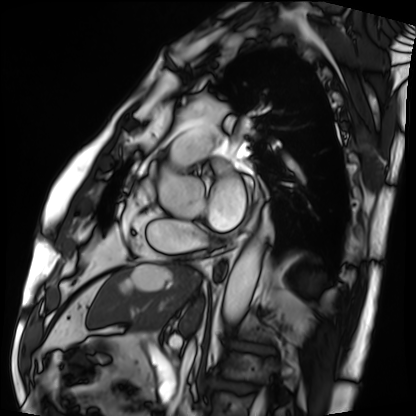
  modality: cardiac MRI
  cohort: patient